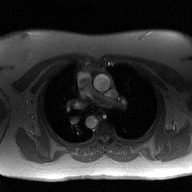
modality = 2D phase-contrast cine MRI of the ascending aorta.